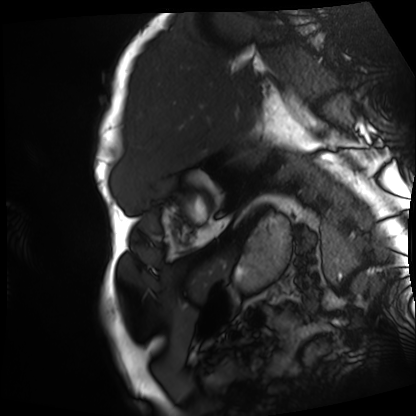
Cardiac MRI.
Subject group: patient.